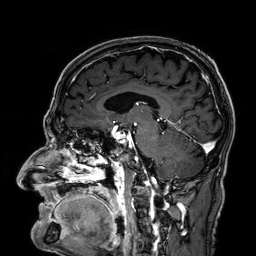
modality = 3 Tesla brain MRI | study = ring-enhancing brain masses.